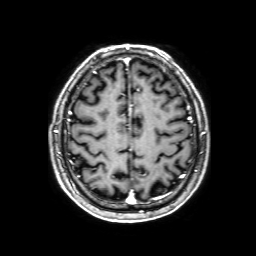
Case summary:
3 Tesla brain MRI. Series: 3D T1-weighted with SENSE. Study: ring-enhancing brain masses.